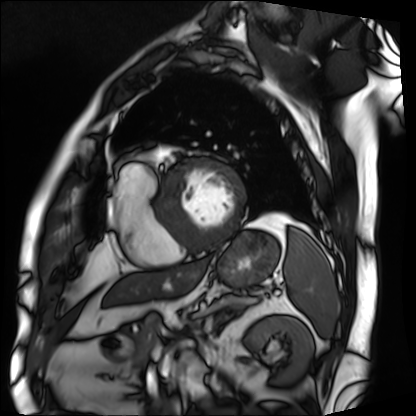
Cardiac MRI. Subject group: patient.